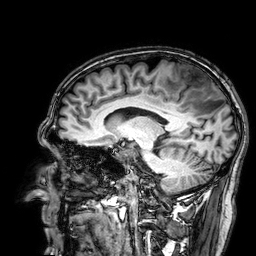
3 Tesla brain MRI.
Series: 3D T1-weighted.
Study: ring-enhancing brain masses.